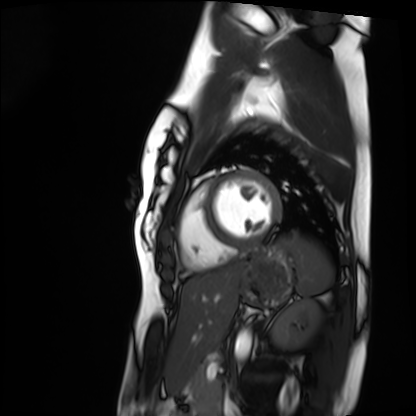
Cardiac MRI.
Subject group: healthy volunteer.